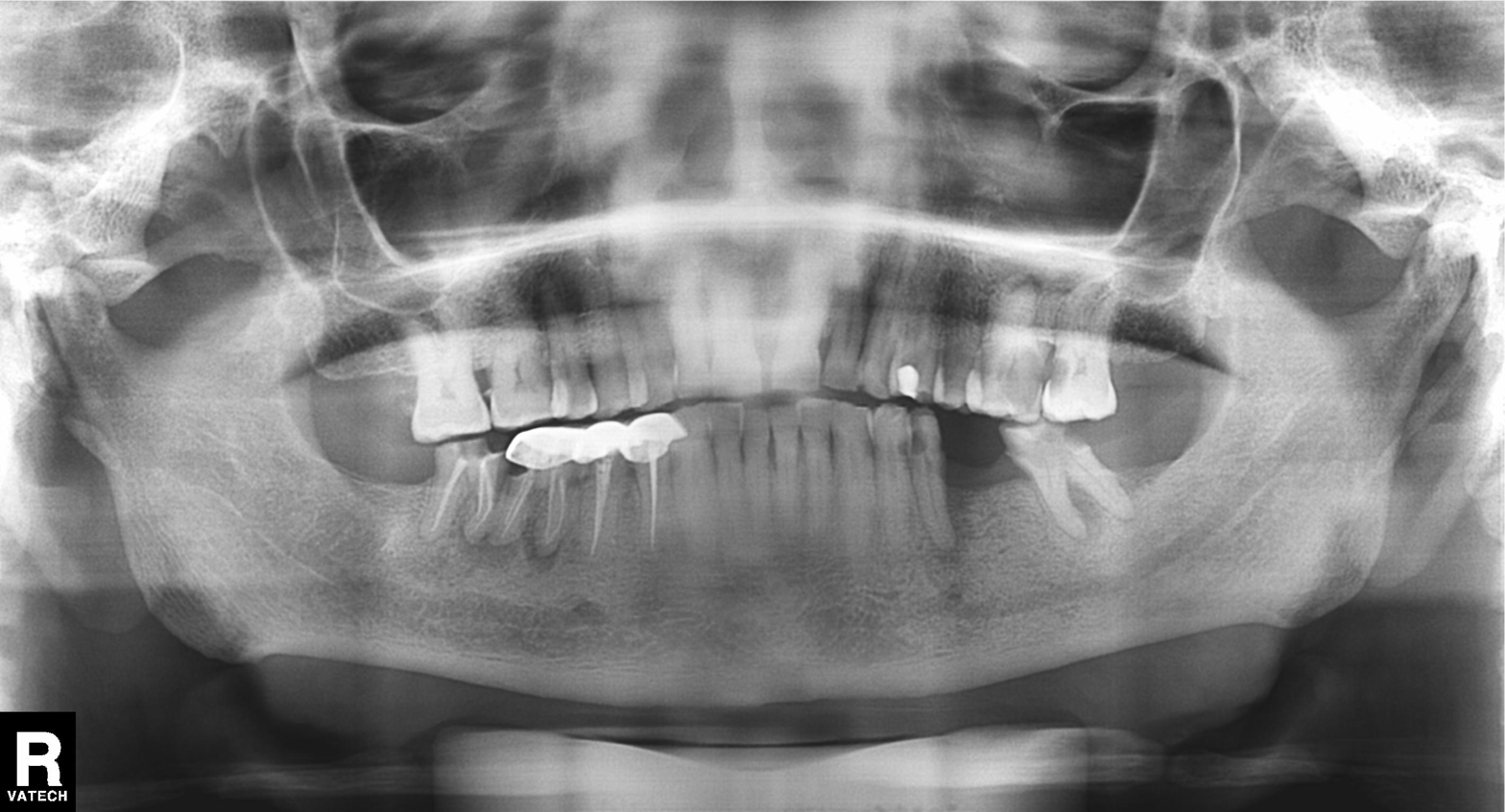
{
  "modality": "panoramic dental radiograph (orthopantomogram)",
  "finding": "tooth impaction"
}